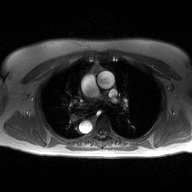
Clinical context:
2D phase-contrast cine MRI of the ascending aorta, high-resolution GRAPPA acquisition.